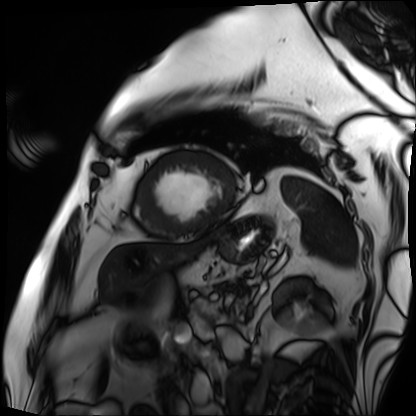
- modality: cardiac MRI
- subject group: patient